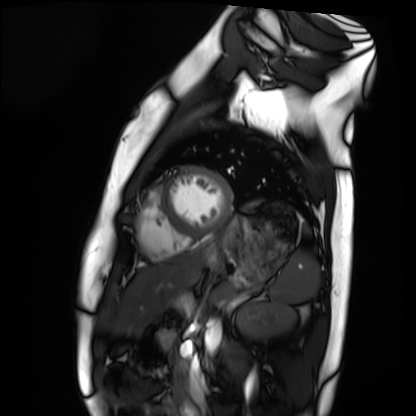
Cardiac MRI. Subject group: healthy volunteer.